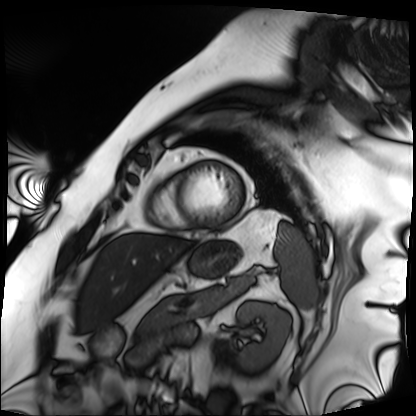
modality — cardiac MRI; subject group — patient.